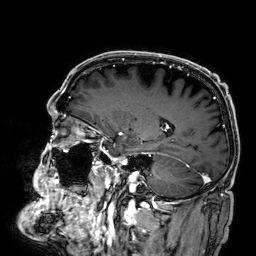
modality — 3 Tesla brain MRI; series — 3D T1-weighted; study — ring-enhancing brain masses.